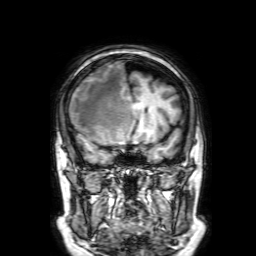
3 Tesla brain MRI.
Series: 3D T1-weighted with SENSE.
Study: ring-enhancing brain masses.